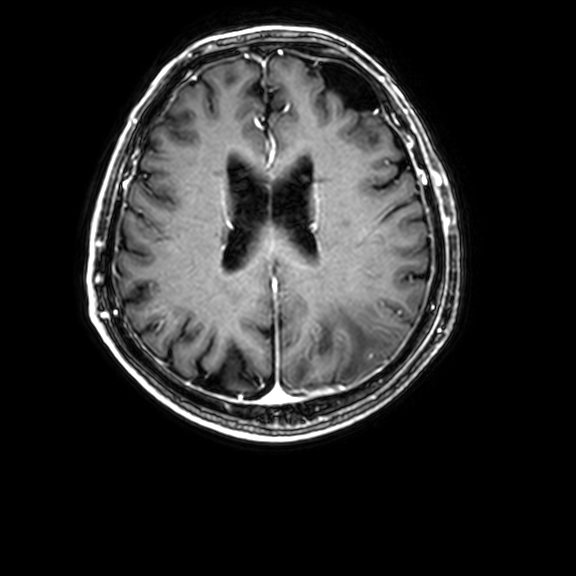
| field | value |
|---|---|
| modality | 3 Tesla brain MRI |
| series | 3D T1-weighted with CLEAR |
| study | ring-enhancing brain masses |